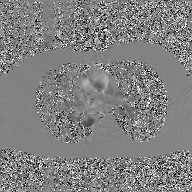
2D phase-contrast cine MRI of the ascending aorta, GAN super-resolution reconstruction.